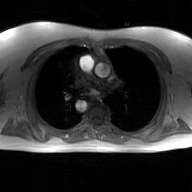
| field | value |
|---|---|
| modality | 2D phase-contrast cine MRI of the ascending aorta, GAN super-resolution reconstruction |